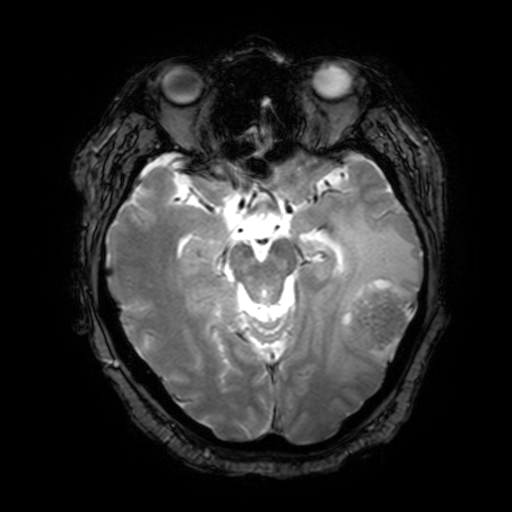
modality = 3 Tesla brain MRI | series = T2-weighted fast field echo with SENSE | study = ring-enhancing brain masses.